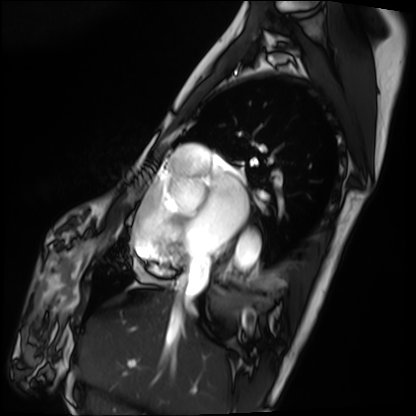
<scan>
  <modality>cardiac MRI</modality>
  <cohort>patient</cohort>
</scan>